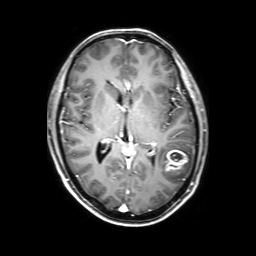
Q: What kind of scan is this?
A: 3 Tesla brain MRI.
Q: Series?
A: 3D T1-weighted with SENSE.
Study: ring-enhancing brain masses.